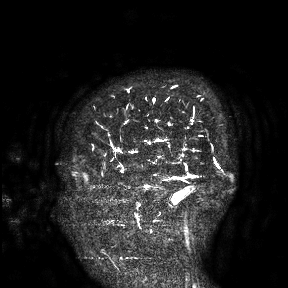
modality: 3 Tesla brain MRI
study: ring-enhancing brain masses